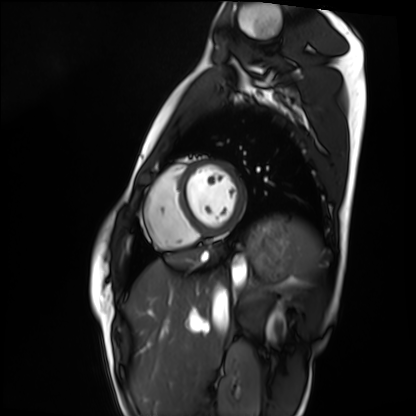
Cardiac MRI. Subject group: healthy volunteer.